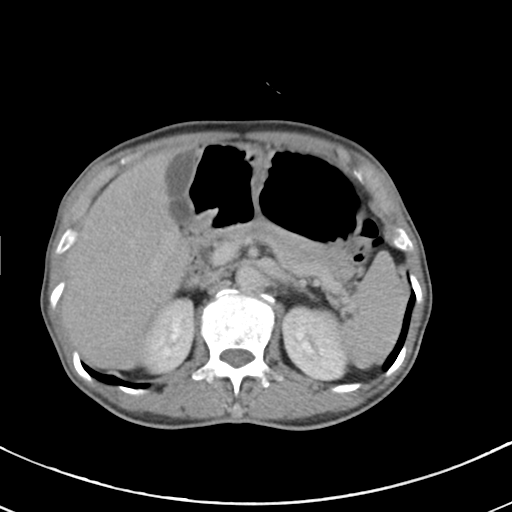
modality = multiphase abdominal CT, liver, delayed phase
patient = male, age 68
history = cirrhosis, viral hepatitis